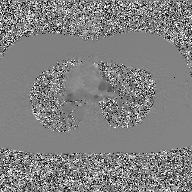
2D phase-contrast cine MRI of the ascending aorta, GAN super-resolution reconstruction.